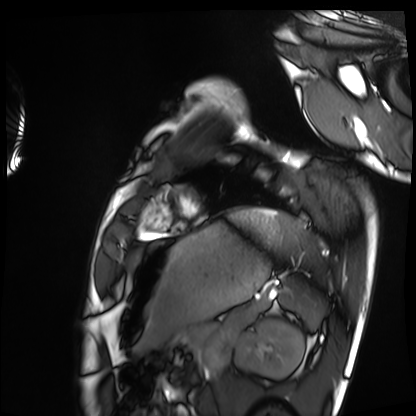
Cardiac MRI.
Subject group: healthy volunteer.